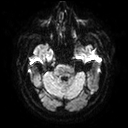
3 Tesla brain MRI.
Series: diffusion tensor imaging (medium iso).
Study: ring-enhancing brain masses.